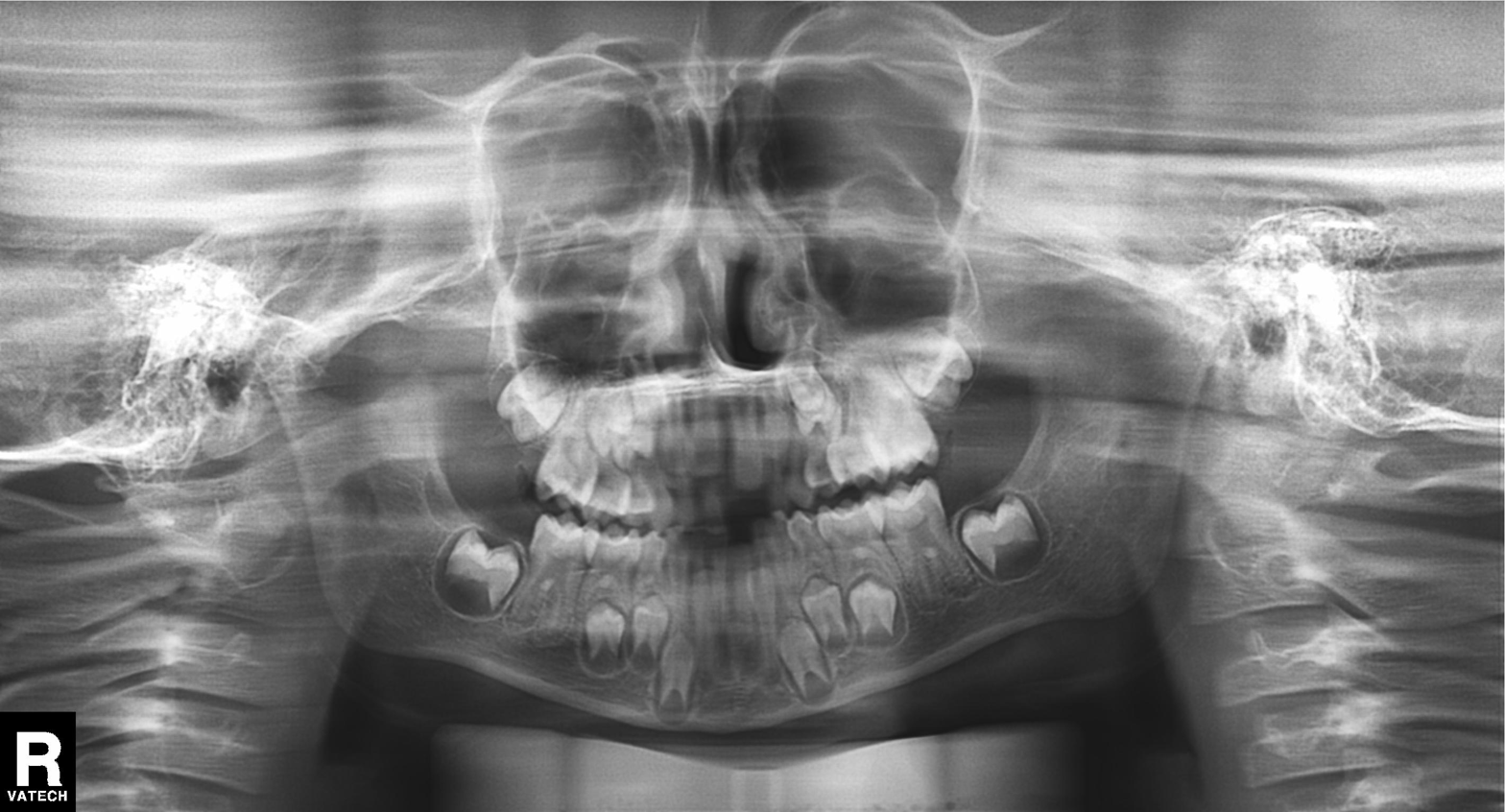
Case summary: Panoramic dental radiograph (orthopantomogram).
Assessment: Alveolar bone loss.